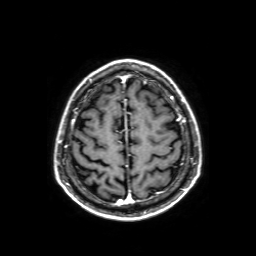
* modality · 3 Tesla brain MRI
* series · axial T1-weighted fusion image
* study · ring-enhancing brain masses